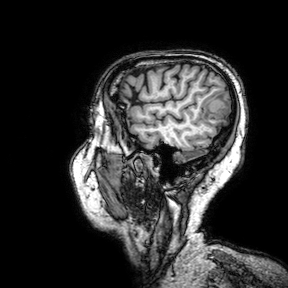
3 Tesla brain MRI. Study: ring-enhancing brain masses.